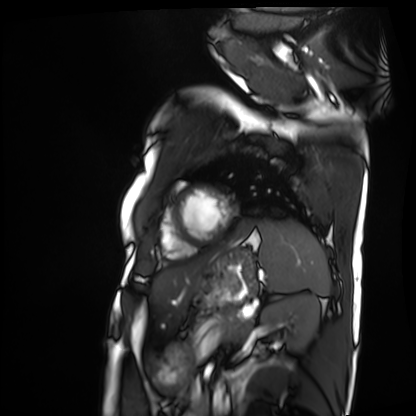
modality: cardiac MRI; subject group: patient.